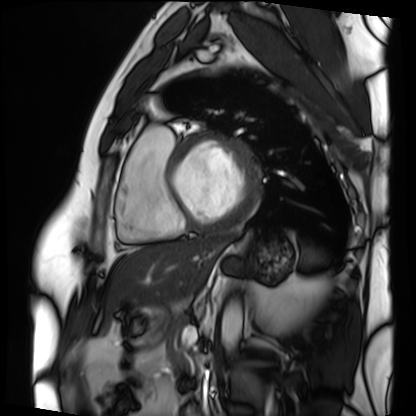
Cardiac MRI. Subject group: patient.